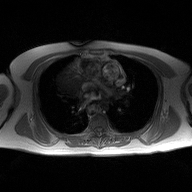
2D phase-contrast cine MRI of the ascending aorta, high-resolution GRAPPA acquisition.